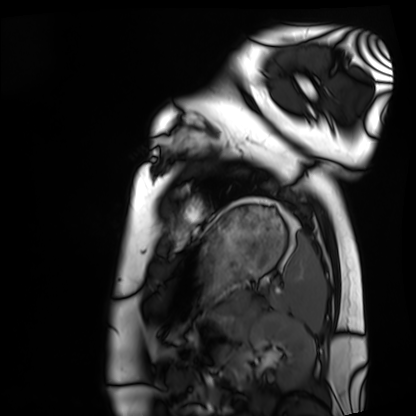
Cardiac MRI.
Subject group: healthy volunteer.